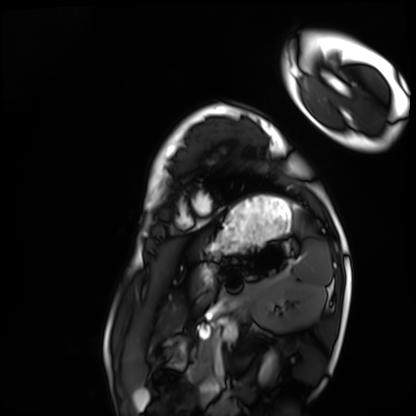
– modality · cardiac MRI
– subject group · healthy volunteer